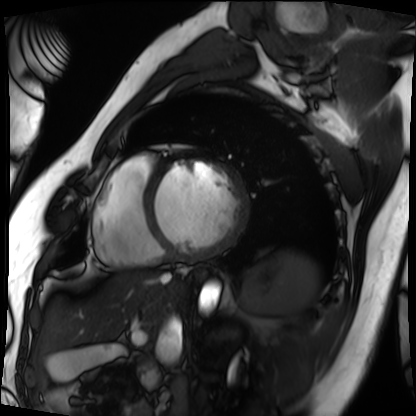
Cardiac MRI.
Subject group: patient.